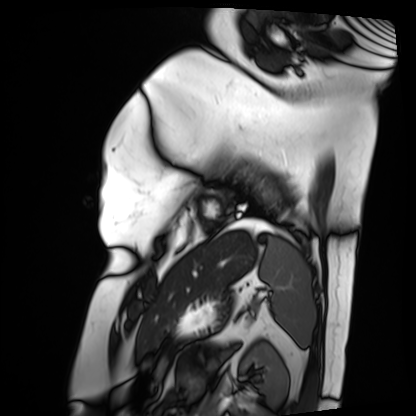
modality = cardiac MRI, subject group = patient.